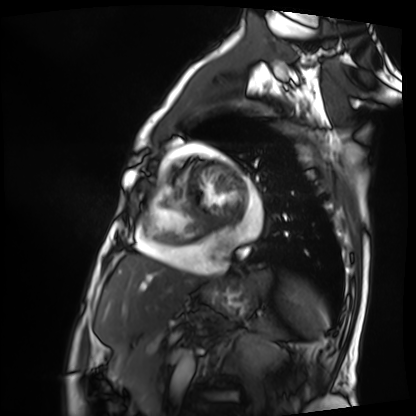
Cardiac MRI.
Subject group: patient.